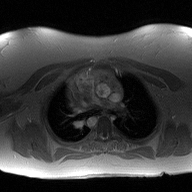
2D phase-contrast cine MRI of the ascending aorta, high-resolution GRAPPA acquisition.